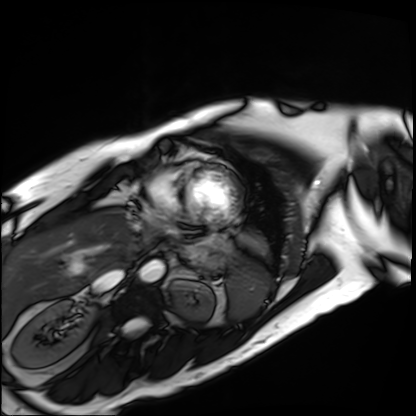
modality: cardiac MRI
cohort: patient